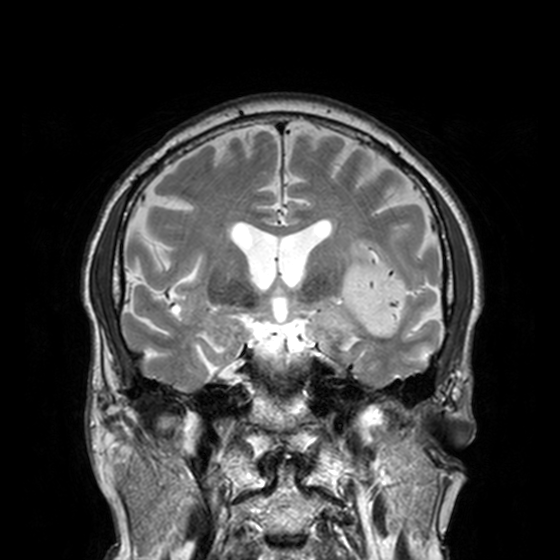
Summary:
3 Tesla brain MRI. Series: T2-weighted turbo spin echo, 3 mm. Study: ring-enhancing brain masses.